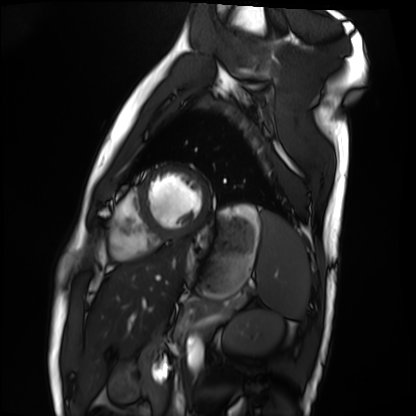
Cardiac MRI. Subject group: healthy volunteer.